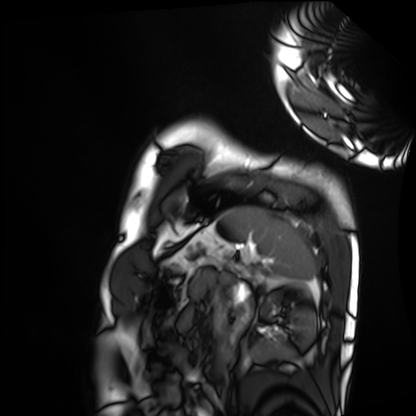
– modality: cardiac MRI
– subject group: healthy volunteer